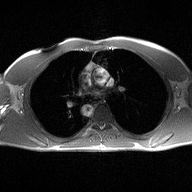
modality: 2D phase-contrast cine MRI of the ascending aorta